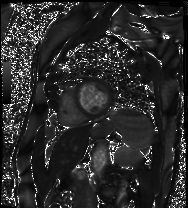
modality: cardiac MRI
subject group: patient